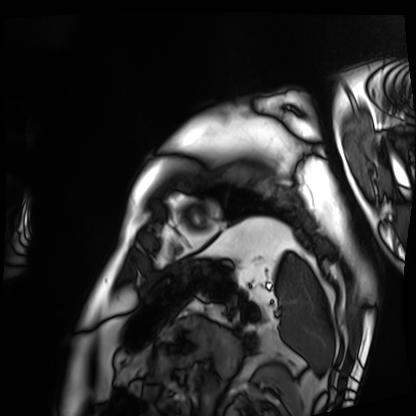
Case summary: Cardiac MRI. Subject group: patient.